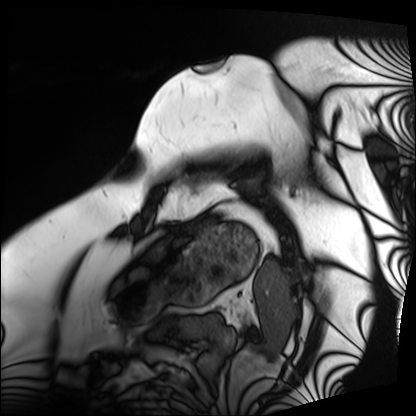
| field | value |
|---|---|
| modality | cardiac MRI |
| subject group | patient |